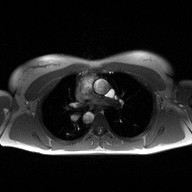
2D phase-contrast cine MRI of the ascending aorta, high-resolution GRAPPA acquisition.